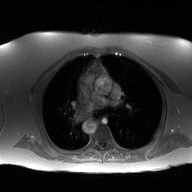
| field | value |
|---|---|
| modality | 2D phase-contrast cine MRI of the ascending aorta |